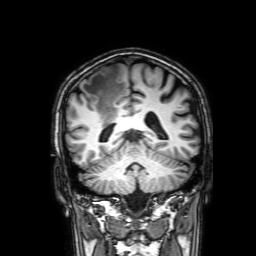
Case summary:
3 Tesla brain MRI. Series: 3D T1-weighted with SENSE. Study: ring-enhancing brain masses.